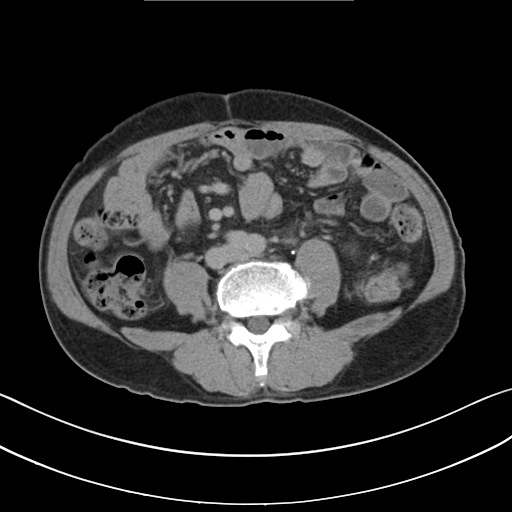
– modality: multiphase abdominal CT, liver, delayed phase
– patient: male, age 69
– history: cirrhosis, viral hepatitis